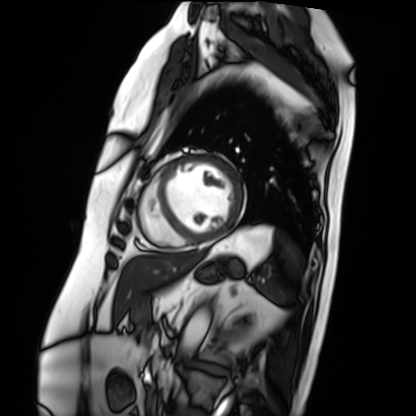
modality — cardiac MRI
subject group — patient